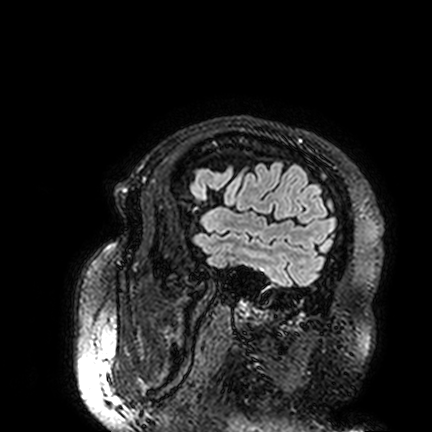
{
  "modality": {
    "type": "brain MRI",
    "field_strength": "3T"
  },
  "series": "FLAIR VISTA",
  "study_topic": "ring-enhancing brain masses"
}